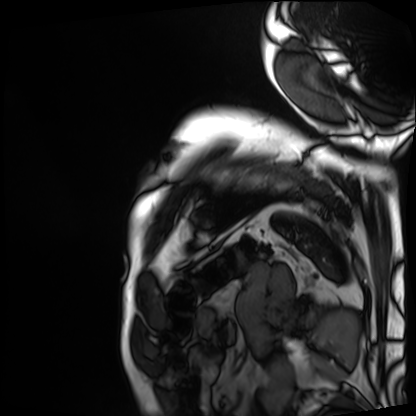
Cardiac MRI. Subject group: patient.